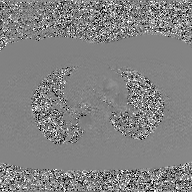
| field | value |
|---|---|
| modality | 2D phase-contrast cine MRI of the ascending aorta, GAN super-resolution reconstruction |